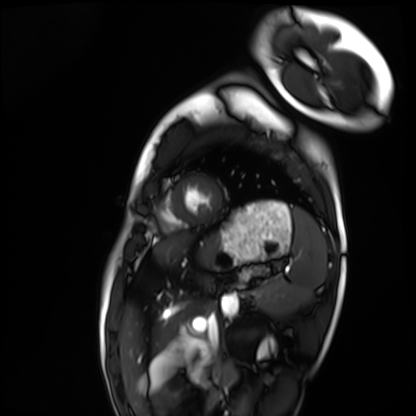
Cardiac MRI.
Subject group: healthy volunteer.